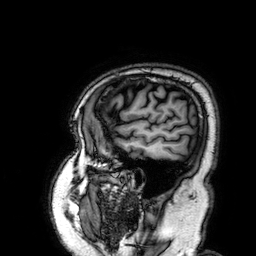
<case>
  <modality>
    <type>brain MRI</type>
    <field_strength>3T</field_strength>
  </modality>
  <study_topic>ring-enhancing brain masses</study_topic>
</case>